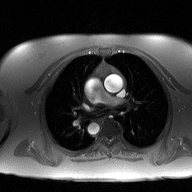
  modality:
    type: 2D phase-contrast cine MRI
    region: ascending aorta
    reconstruction: high-resolution GRAPPA acquisition